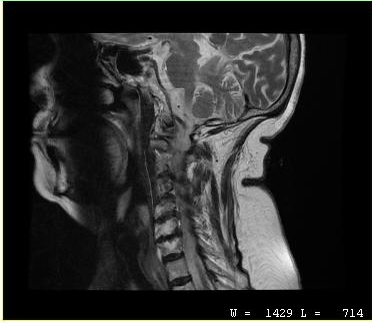
Clinical context:
MRI of the cervical spine. Study: cervical spondylosis.